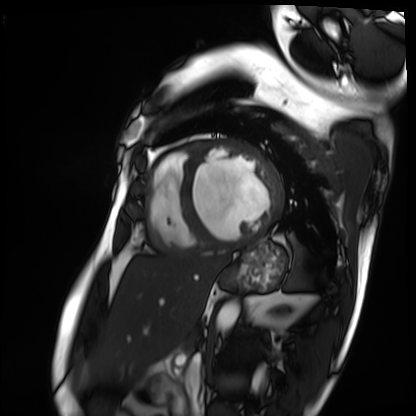
Cardiac MRI. Subject group: patient.